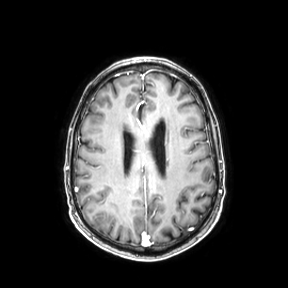
| field | value |
|---|---|
| modality | 3 Tesla brain MRI |
| series | axial |
| study | ring-enhancing brain masses |